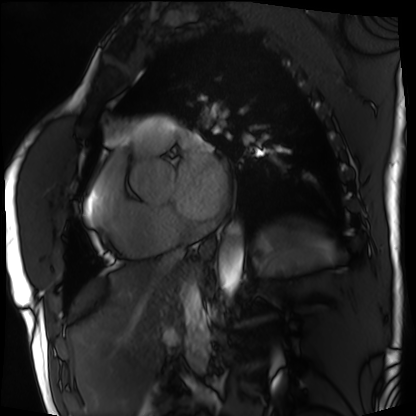
Cardiac MRI. Subject group: patient.